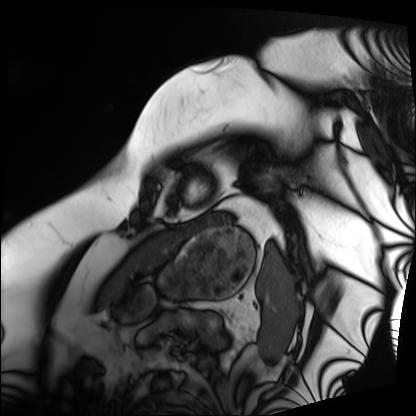
Case:
- modality — cardiac MRI
- subject group — patient